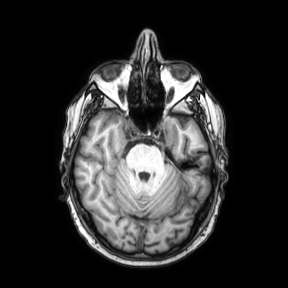
– modality: 3 Tesla brain MRI
– series: axial
– study: ring-enhancing brain masses